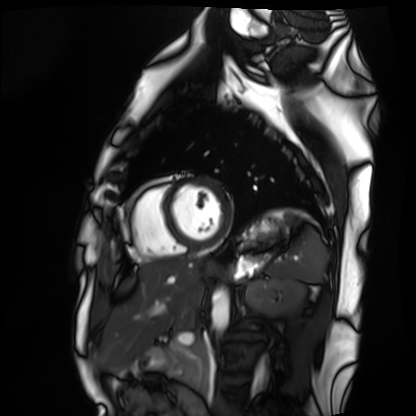
– modality — cardiac MRI
– subject group — healthy volunteer